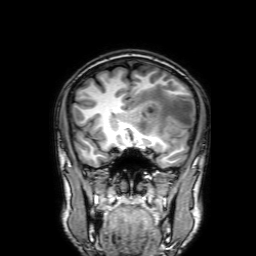
modality: 3 Tesla brain MRI
series: 3D T1-weighted with SENSE
study: ring-enhancing brain masses